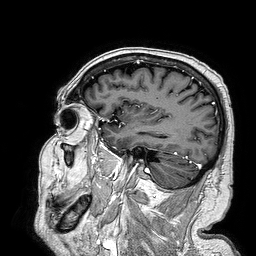
Case summary:
3 Tesla brain MRI. Series: 3D T1-weighted turbo field echo. Study: ring-enhancing brain masses.